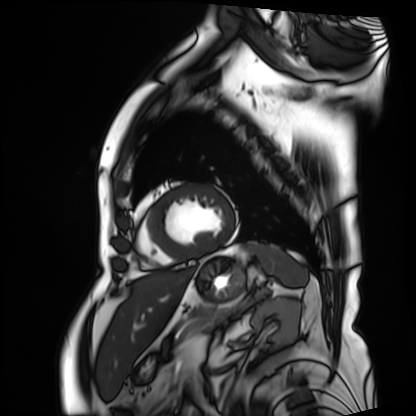
{
  "modality": "cardiac MRI",
  "cohort": "patient"
}